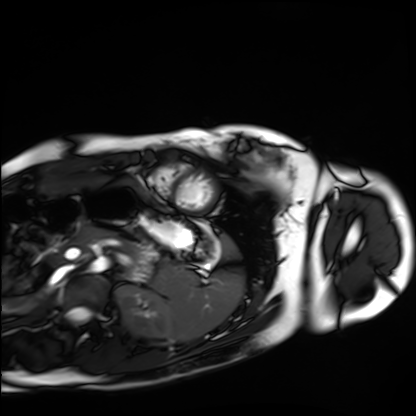
Cardiac MRI. Subject group: healthy volunteer.